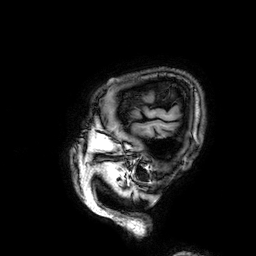
modality = 3 Tesla brain MRI; series = 3D T1-weighted; study = ring-enhancing brain masses.